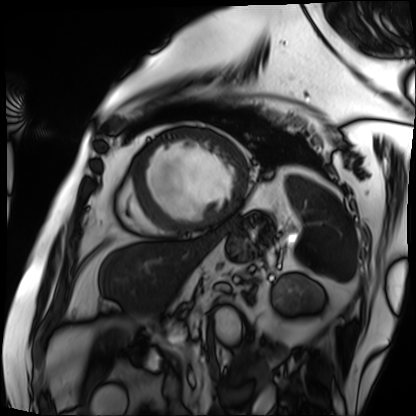
Q: What kind of scan is this?
A: Cardiac MRI.
Subject group: patient.